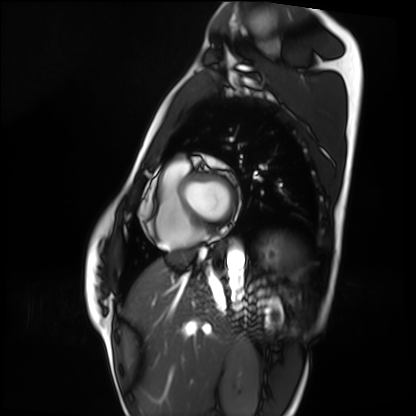
Cardiac MRI. Subject group: healthy volunteer.